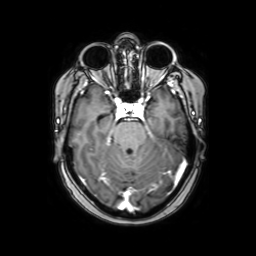
- modality — 3 Tesla brain MRI
- series — axial with contrast
- study — ring-enhancing brain masses